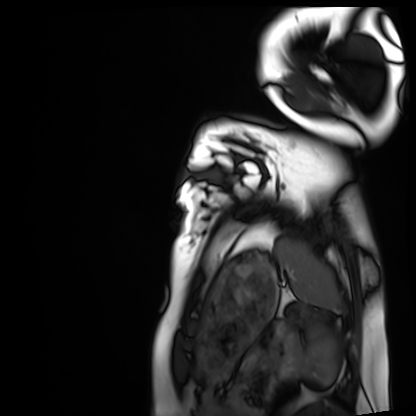
Cardiac MRI. Subject group: healthy volunteer.